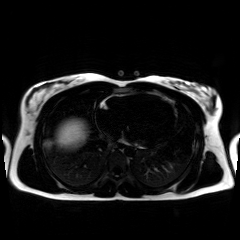
modality: chemical-shift-encoded cardiac MRI.